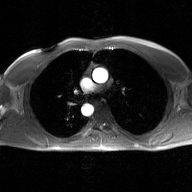
  modality:
    type: 2D phase-contrast cine MRI
    region: ascending aorta
    reconstruction: GAN super-resolution reconstruction